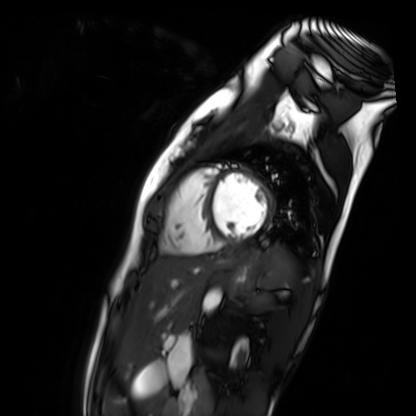
modality: cardiac MR image of the myocardium | subject cohort: healthy volunteer.